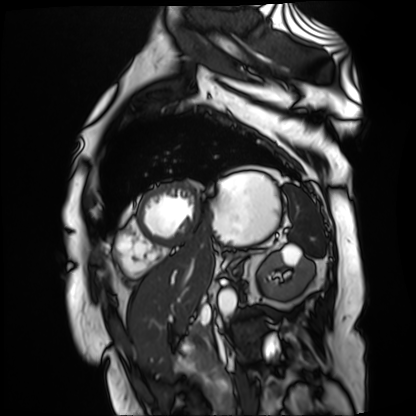
Cardiac MR image of the myocardium. Subject cohort: cardiac patient.